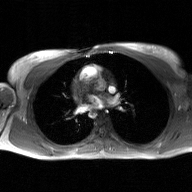
<scan>
<modality>
  <type>2D phase-contrast cine MRI</type>
  <region>ascending aorta</region>
  <reconstruction>GAN super-resolution reconstruction</reconstruction>
</modality>
</scan>